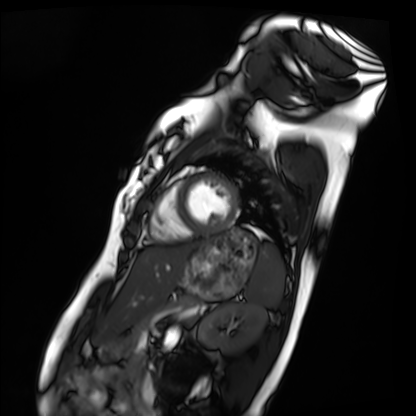
{"modality": "cardiac MRI", "cohort": "healthy volunteer"}